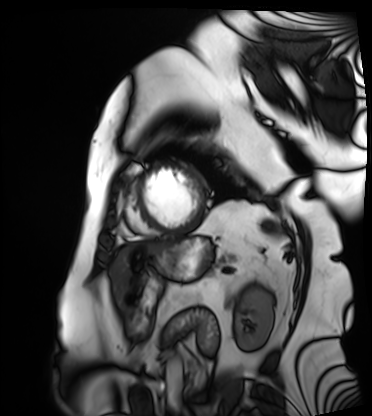
Q: What kind of scan is this?
A: Cardiac MRI.
Subject group: patient.